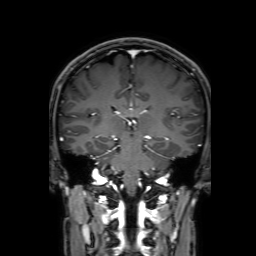
3 Tesla brain MRI.
Series: 3D T1-weighted with SENSE.
Study: ring-enhancing brain masses.